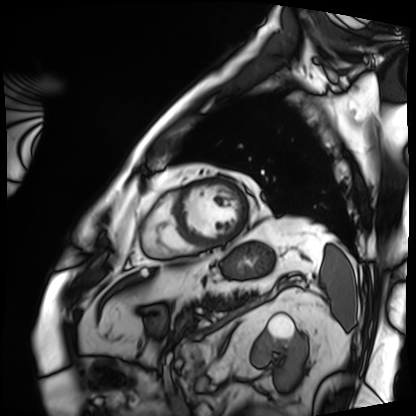
modality = cardiac MRI
subject group = patient